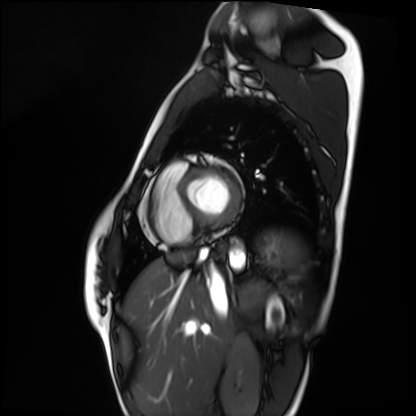
Cardiac MRI.
Subject group: healthy volunteer.